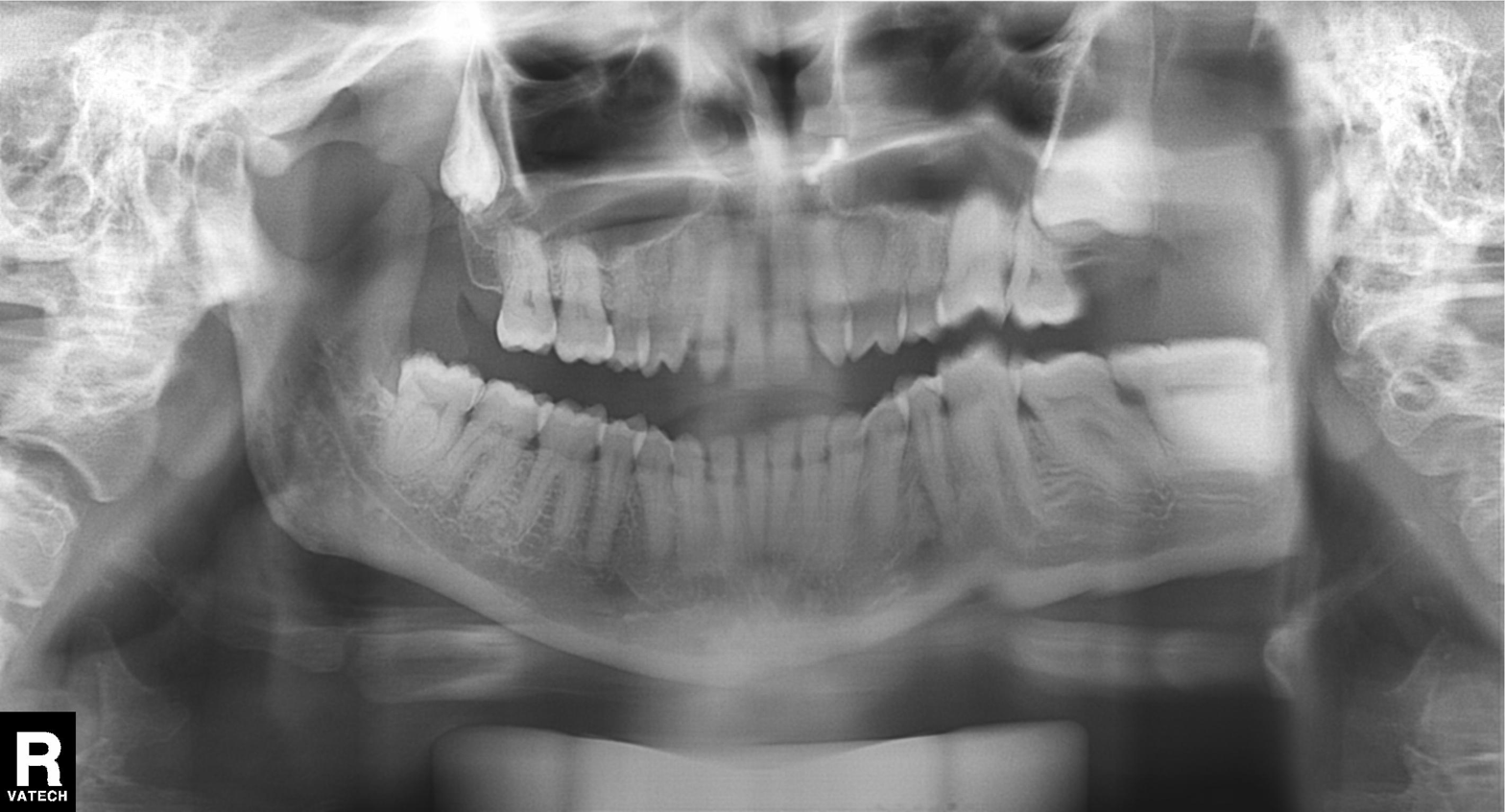
Summary: Panoramic dental radiograph (orthopantomogram).
Impression: Alveolar bone loss.